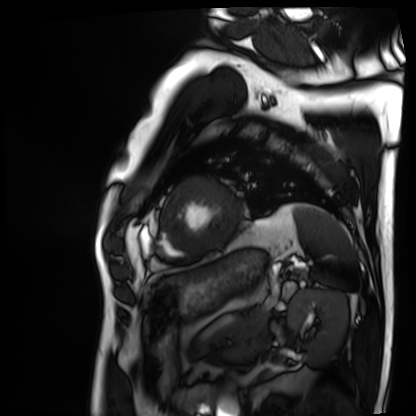
Cardiac MRI.
Subject group: patient.